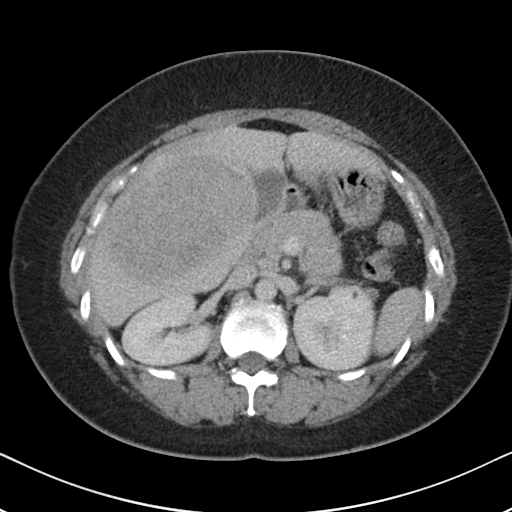
Multiphase abdominal CT, liver, portal venous phase. Patient: female, age 36.